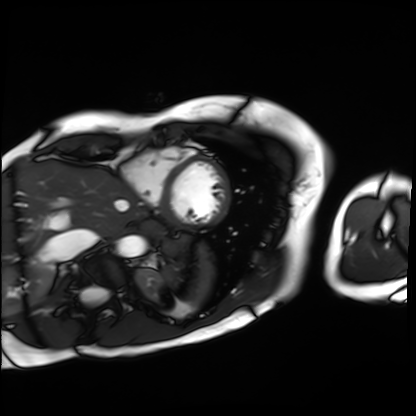
Cardiac MRI. Subject group: patient.